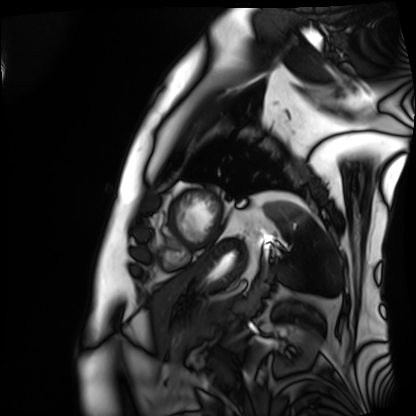
Clinical context: Cardiac MRI. Subject group: patient.